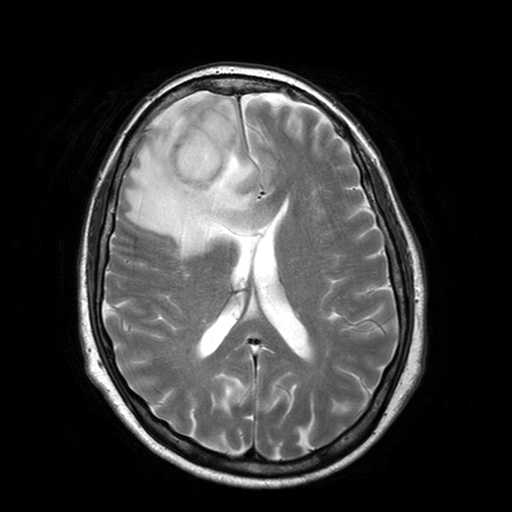
{
  "modality": {
    "type": "brain MRI",
    "field_strength": "3T"
  },
  "study_topic": "ring-enhancing brain masses"
}